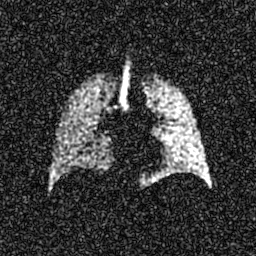
{
  "modality": "hyperpolarized 129Xe ventilation MRI of the lungs",
  "snr_level": "7 of 8 (the deposit holds this scan as its native image and as seven SNR-degraded versions)"
}